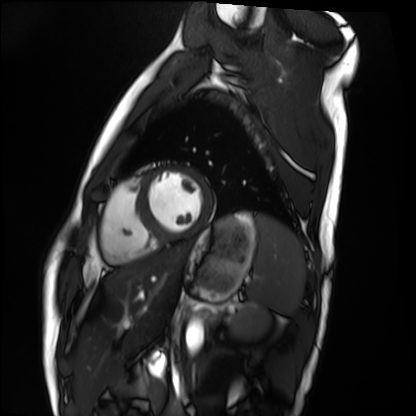
Cardiac MRI. Subject group: healthy volunteer.